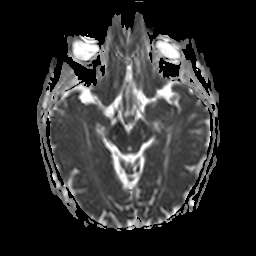
Clinical context:
3 Tesla brain MRI. Series: apparent diffusion coefficient (ADC) map. Study: ring-enhancing brain masses.